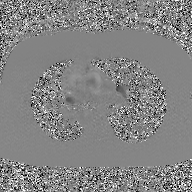
Summary:
2D phase-contrast cine MRI of the ascending aorta, GAN super-resolution reconstruction.